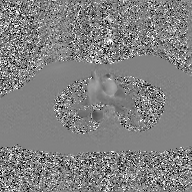
Clinical context: 2D phase-contrast cine MRI of the ascending aorta, GAN super-resolution reconstruction.